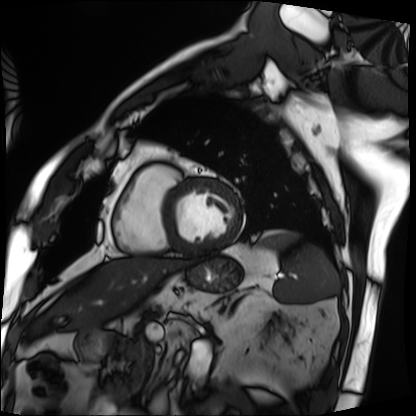
Cardiac MRI.
Subject group: patient.